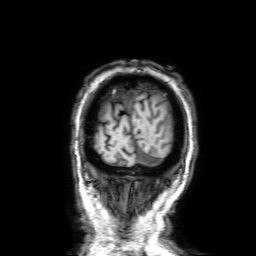
  modality:
    type: brain MRI
    field_strength: 3T
  series: 3D T1-weighted with SENSE
  study_topic: ring-enhancing brain masses